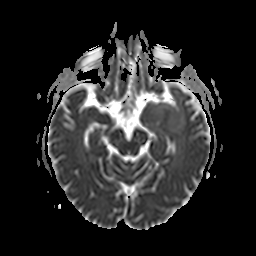
Summary: 3 Tesla brain MRI. Series: apparent diffusion coefficient (ADC) map. Study: ring-enhancing brain masses.